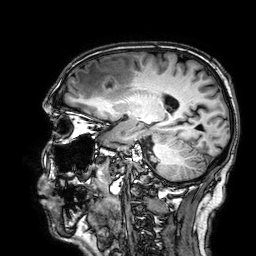
Summary:
3 Tesla brain MRI. Series: 3D T1-weighted. Study: ring-enhancing brain masses.